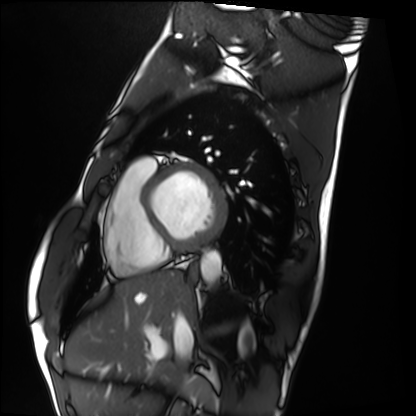
Q: What kind of scan is this?
A: Cardiac MRI.
Subject group: healthy volunteer.